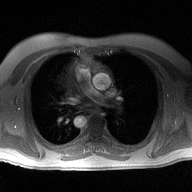
Clinical context: 2D phase-contrast cine MRI of the ascending aorta, high-resolution GRAPPA acquisition.